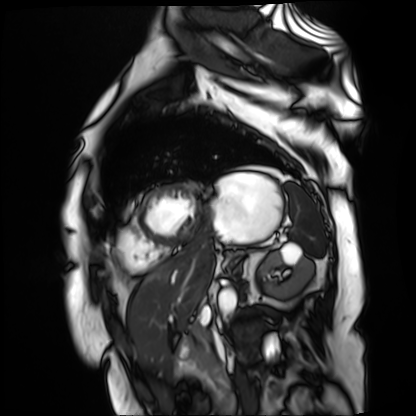
modality: cardiac MR image of the myocardium
cohort: cardiac patient